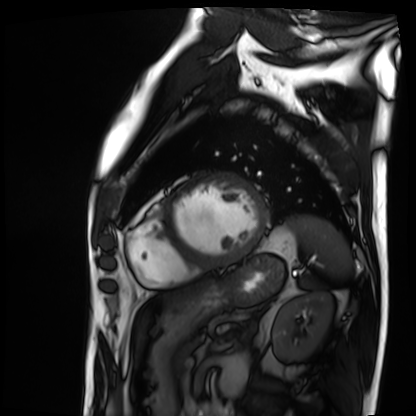
<scan>
  <modality>cardiac MRI</modality>
  <cohort>patient</cohort>
</scan>